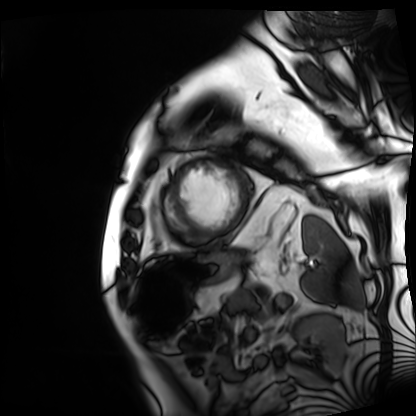
Summary:
Cardiac MRI. Subject group: patient.